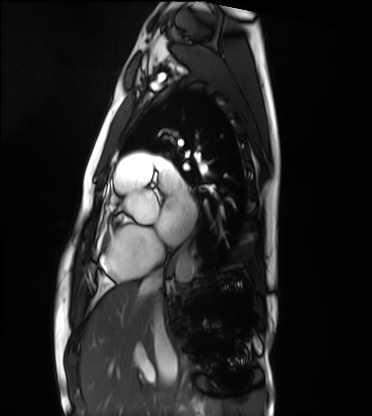
<scan>
<modality>cardiac MRI</modality>
<cohort>healthy volunteer</cohort>
</scan>